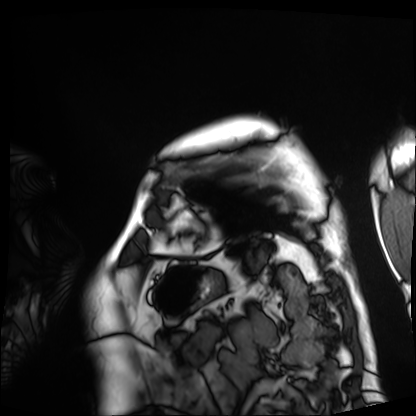
Cardiac MRI. Subject group: patient.